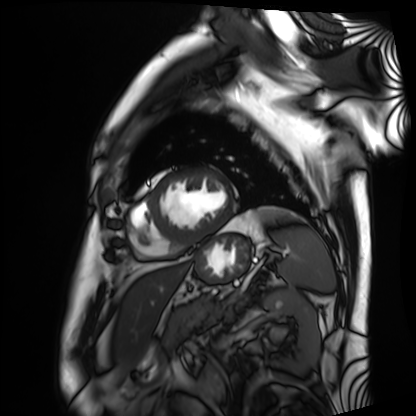
Q: What kind of scan is this?
A: Cardiac MRI.
Subject group: patient.